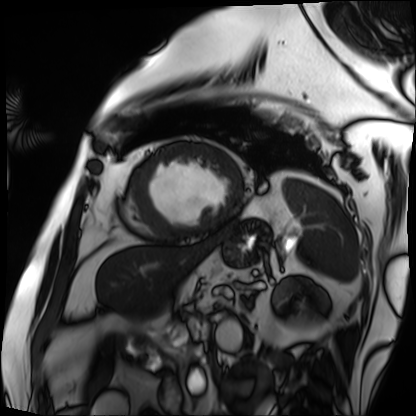
<case>
<modality>cardiac MRI</modality>
<cohort>patient</cohort>
</case>